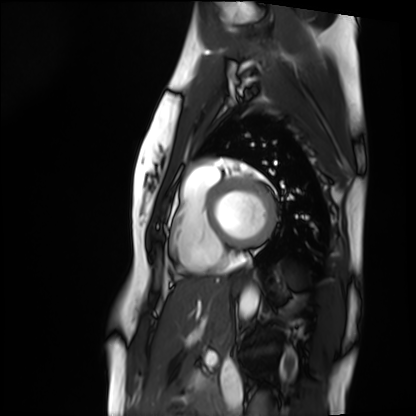
Cardiac MRI. Subject group: healthy volunteer.